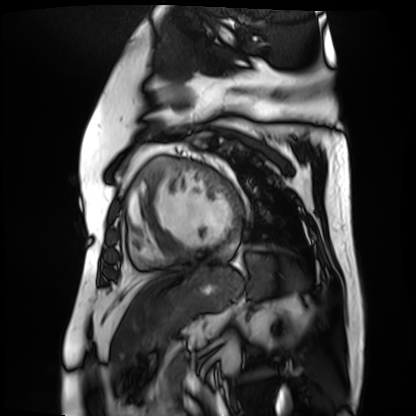
Cardiac MR image of the myocardium.
Subject cohort: cardiac patient.